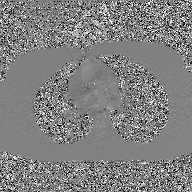
2D phase-contrast cine MRI of the ascending aorta, GAN super-resolution reconstruction.